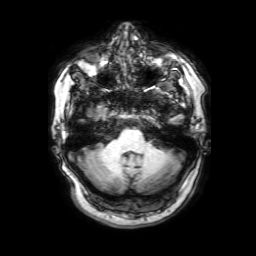
| field | value |
|---|---|
| modality | 3 Tesla brain MRI |
| study | ring-enhancing brain masses |